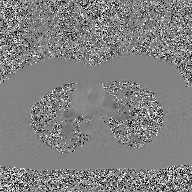
2D phase-contrast cine MRI of the ascending aorta, GAN super-resolution reconstruction.